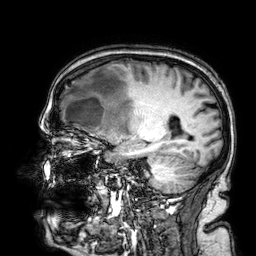
3 Tesla brain MRI. Study: ring-enhancing brain masses.